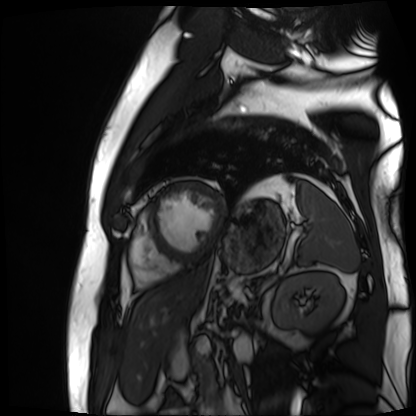
Cardiac MR image of the myocardium. Subject cohort: cardiac patient.